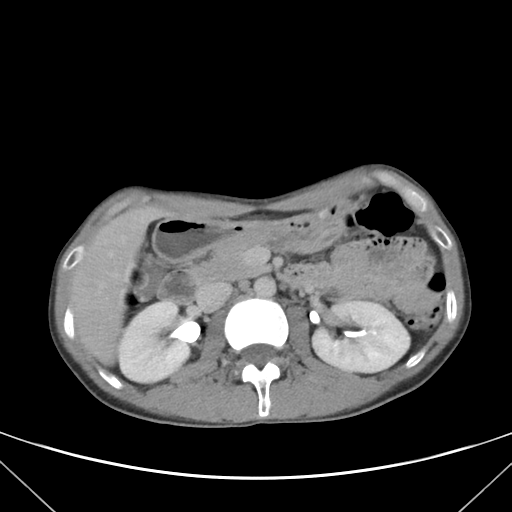
Summary:
Multiphase abdominal CT, liver, delayed phase. Patient: male, age 38.